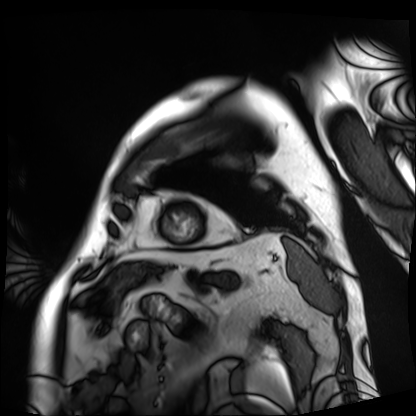
Cardiac MRI. Subject group: patient.